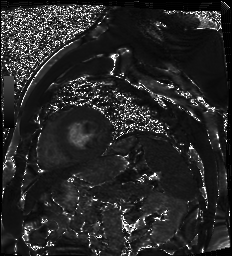
modality = cardiac MR image of the myocardium | subject cohort = cardiac patient.